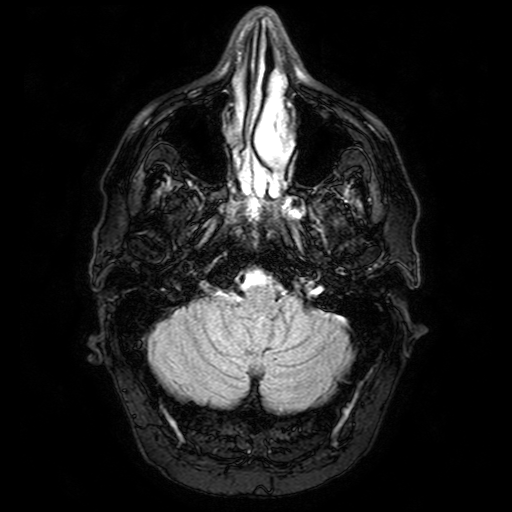
– modality · 3 Tesla brain MRI
– series · FLAIR with SPAIR
– study · ring-enhancing brain masses